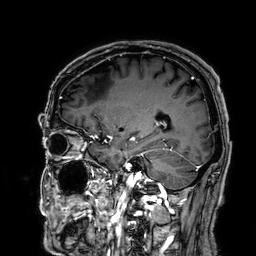
{
  "modality": {
    "type": "brain MRI",
    "field_strength": "3T"
  },
  "series": "3D T1-weighted",
  "study_topic": "ring-enhancing brain masses"
}